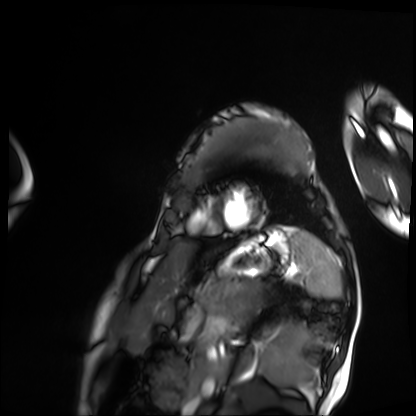
<record>
<modality>cardiac MRI</modality>
<cohort>patient</cohort>
</record>